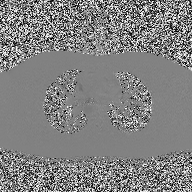
2D phase-contrast cine MRI of the ascending aorta, high-resolution GRAPPA acquisition.